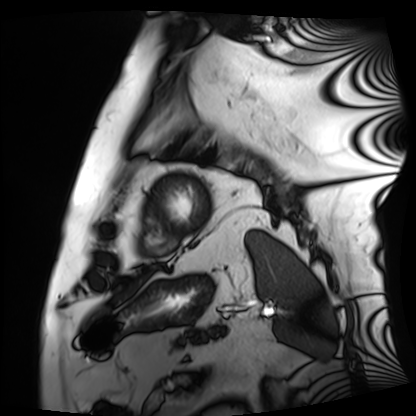
Case:
– modality · cardiac MRI
– subject group · patient